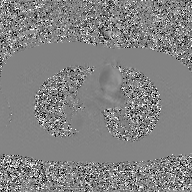
* modality — 2D phase-contrast cine MRI of the ascending aorta, GAN super-resolution reconstruction